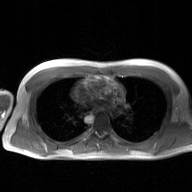
2D phase-contrast cine MRI of the ascending aorta, GAN super-resolution reconstruction.